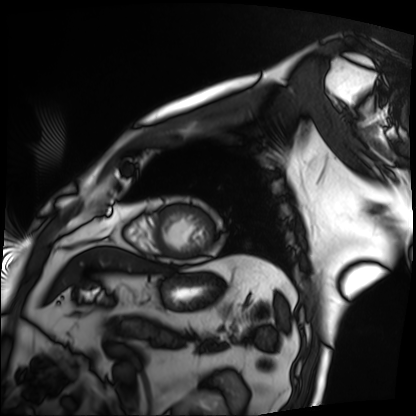
modality: cardiac MRI
cohort: patient